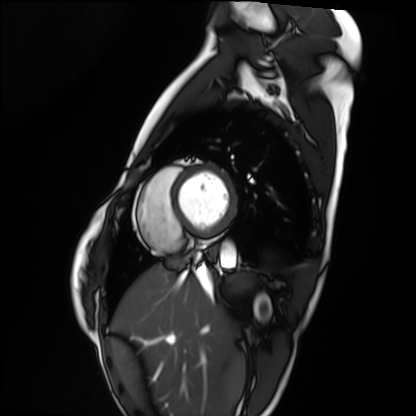
| field | value |
|---|---|
| modality | cardiac MRI |
| subject group | healthy volunteer |